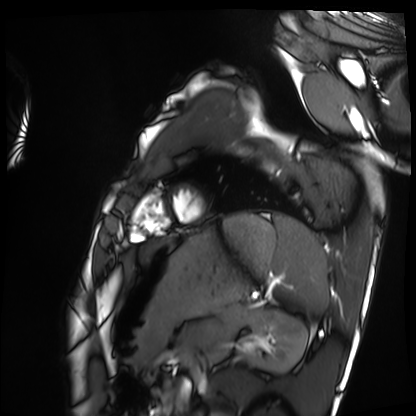
Clinical context:
Cardiac MRI. Subject group: healthy volunteer.